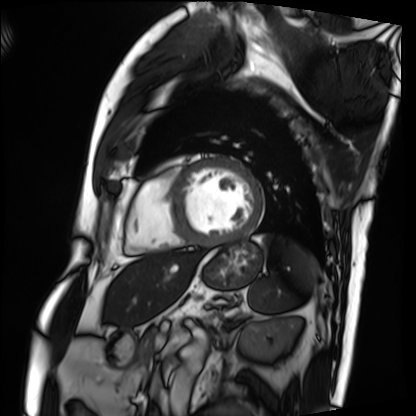
<scan>
  <modality>cardiac MRI</modality>
  <cohort>patient</cohort>
</scan>